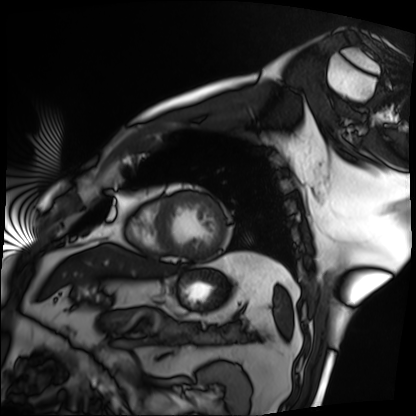
Cardiac MRI. Subject group: patient.